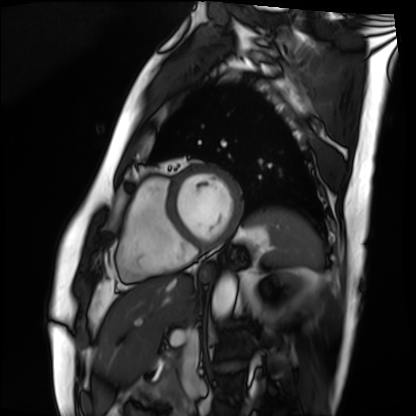
| field | value |
|---|---|
| modality | cardiac MRI |
| subject group | patient |